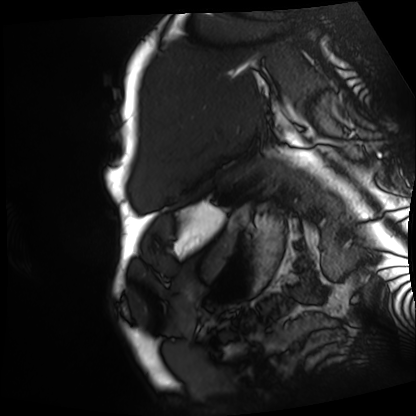
Cardiac MRI. Subject group: patient.